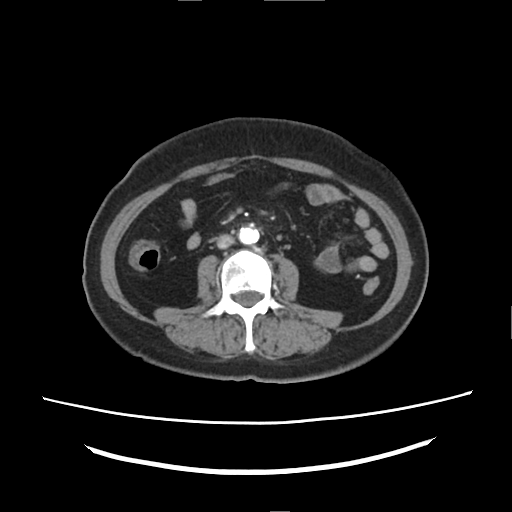
Summary:
Multiphase abdominal CT, liver, arterial phase. Patient: female, age 60. History: prior chemotherapy.